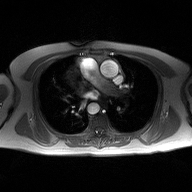
* modality · 2D phase-contrast cine MRI of the ascending aorta